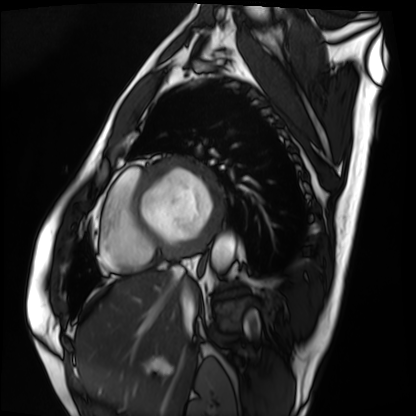
<study>
  <modality>cardiac MRI</modality>
  <cohort>patient</cohort>
</study>